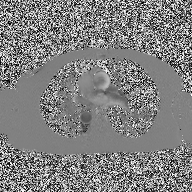
  modality:
    type: 2D phase-contrast cine MRI
    region: ascending aorta
    reconstruction: high-resolution GRAPPA acquisition